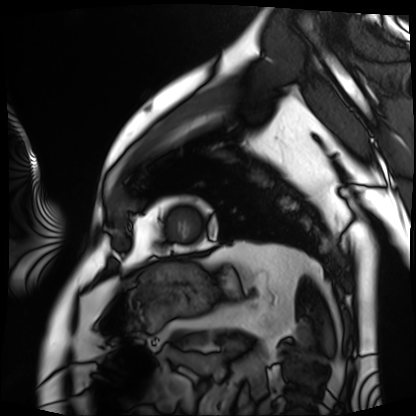
Summary:
Cardiac MRI. Subject group: patient.